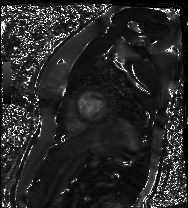
Cardiac MR image of the myocardium. Subject cohort: healthy volunteer.